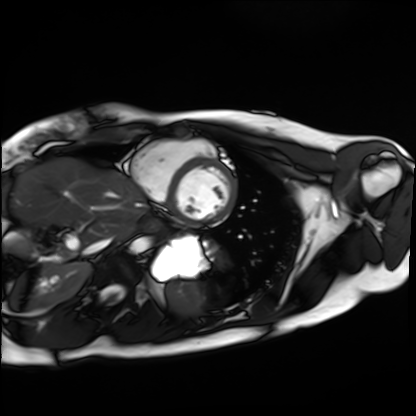
Case summary:
Cardiac MRI. Subject group: healthy volunteer.